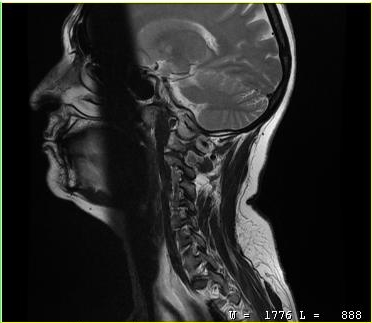
MRI of the cervical spine.
Study: cervical spondylosis.